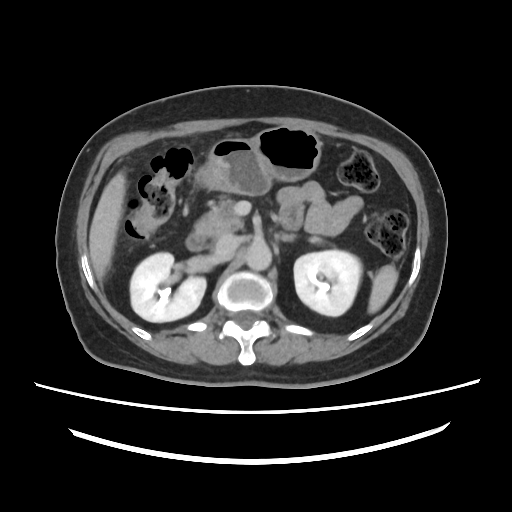
Case summary: Multiphase abdominal CT, liver, delayed phase. Patient: female, age 63.